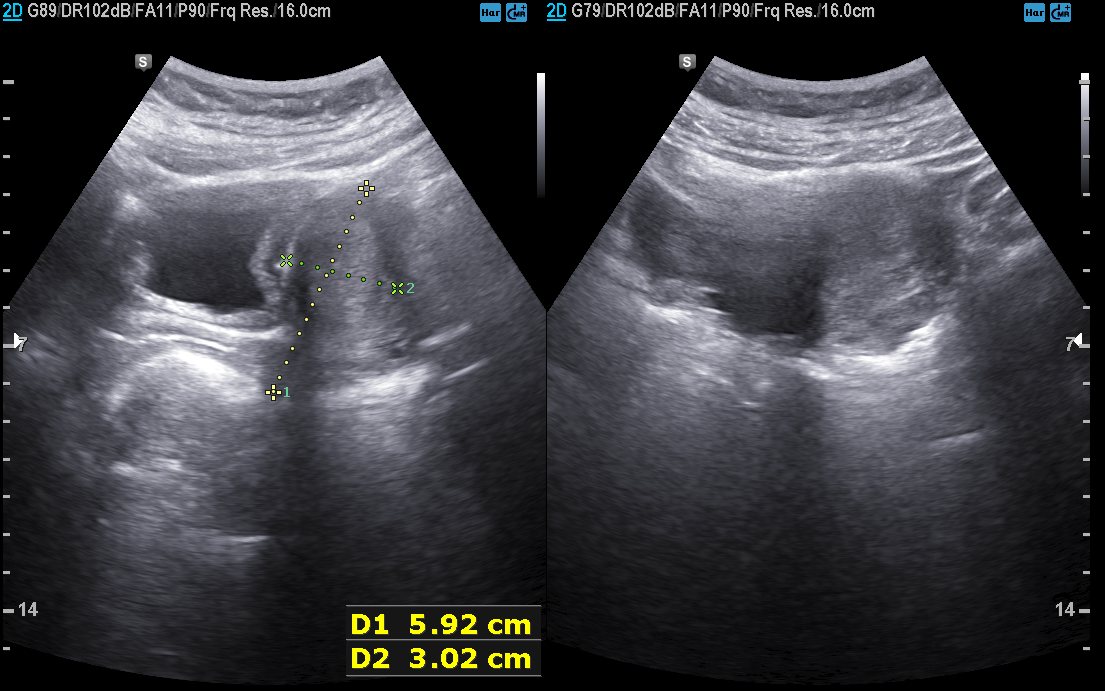
* modality · genitourinary ultrasound